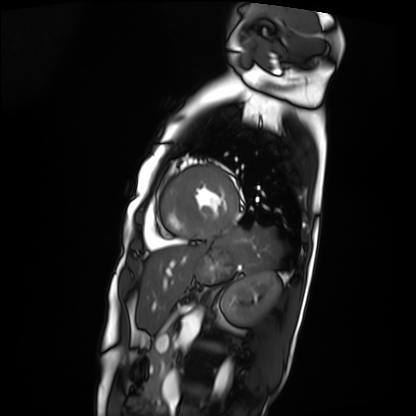
Clinical context: Cardiac MRI. Subject group: patient.